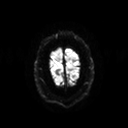
Summary:
3 Tesla brain MRI. Series: diffusion tensor imaging (medium iso). Study: ring-enhancing brain masses.